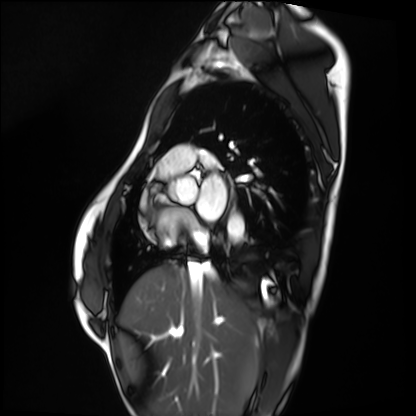
Cardiac MRI. Subject group: healthy volunteer.